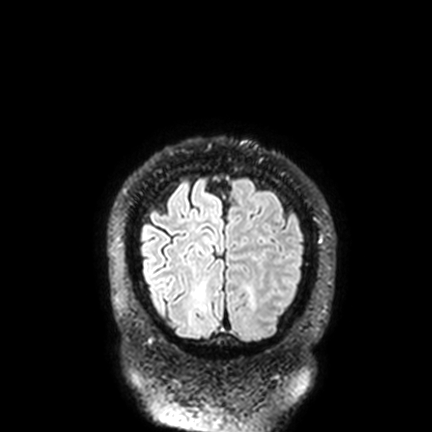
Case summary:
3 Tesla brain MRI. Series: FLAIR VISTA with SENSE. Study: ring-enhancing brain masses.